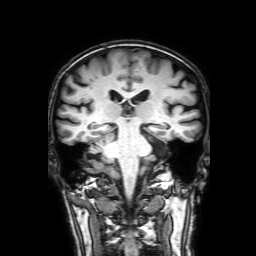
modality: 3 Tesla brain MRI; series: 3D T1-weighted with SENSE; study: ring-enhancing brain masses.